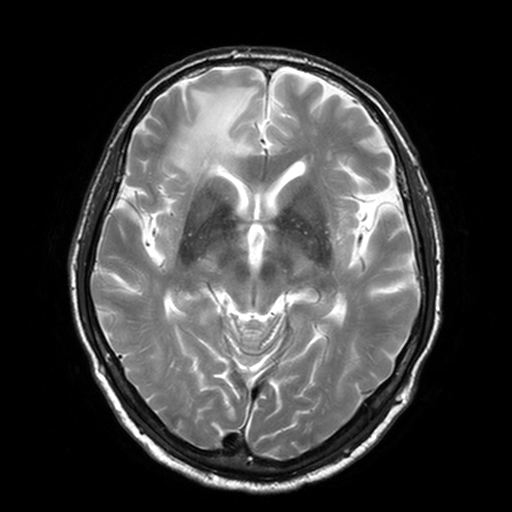
* modality — 3 Tesla brain MRI
* series — T2-weighted turbo spin echo, 3 mm
* study — ring-enhancing brain masses